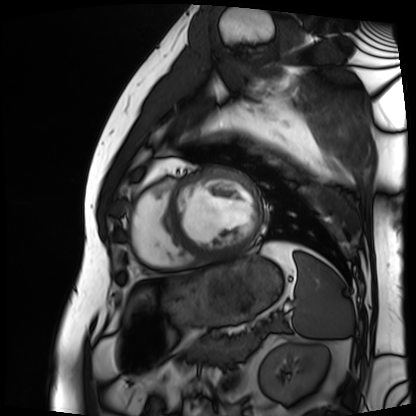
• modality — cardiac MRI
• subject group — patient